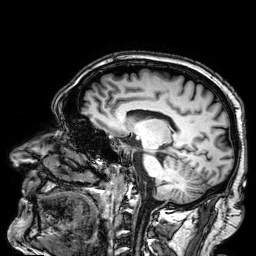
3 Tesla brain MRI. Series: 3D T1-weighted. Study: ring-enhancing brain masses.